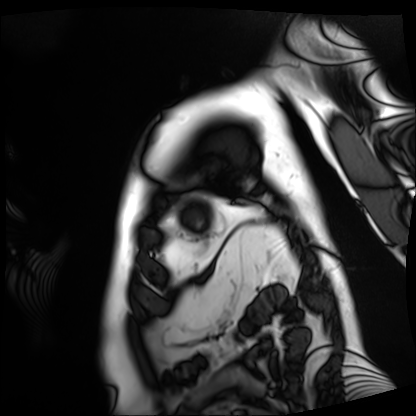
| field | value |
|---|---|
| modality | cardiac MRI |
| subject group | patient |